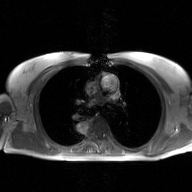
modality: 2D phase-contrast cine MRI of the ascending aorta, GAN super-resolution reconstruction.